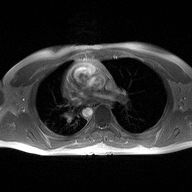
2D phase-contrast cine MRI of the ascending aorta, high-resolution GRAPPA acquisition.